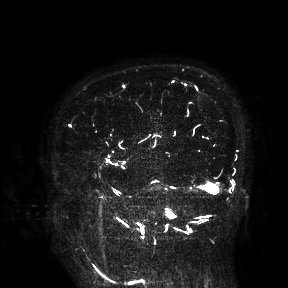
3 Tesla brain MRI. Study: ring-enhancing brain masses.